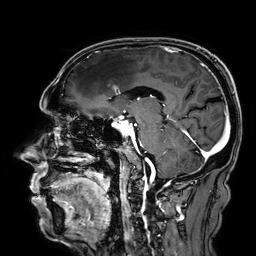
3 Tesla brain MRI.
Series: 3D T1-weighted.
Study: ring-enhancing brain masses.